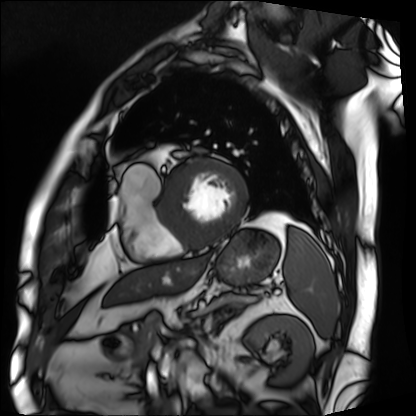
{"modality": "cardiac MRI", "cohort": "patient"}